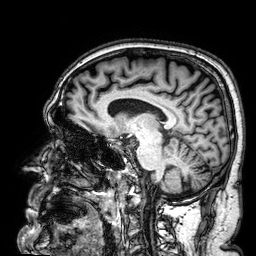
Q: What kind of scan is this?
A: 3 Tesla brain MRI.
Q: Series?
A: 3D T1-weighted.
Study: ring-enhancing brain masses.